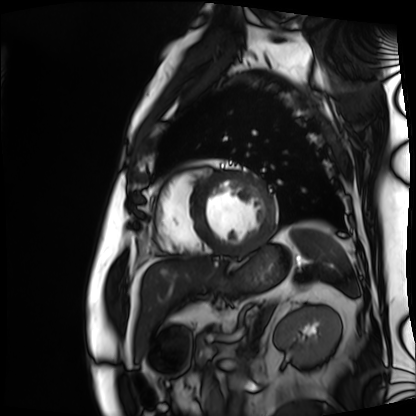
modality=cardiac MRI | subject group=patient.